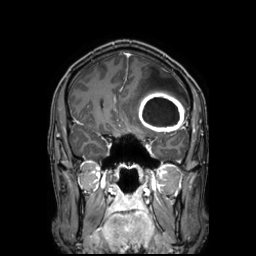
3 Tesla brain MRI. Series: 3D T1-weighted TFE with SENSE. Study: ring-enhancing brain masses.